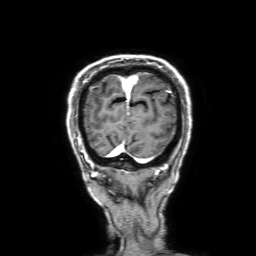
Case summary:
3 Tesla brain MRI. Series: 3D T1-weighted with SENSE. Study: ring-enhancing brain masses.